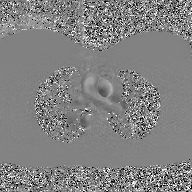
Case summary:
2D phase-contrast cine MRI of the ascending aorta, GAN super-resolution reconstruction.